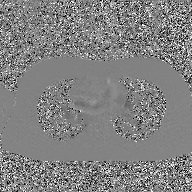
2D phase-contrast cine MRI of the ascending aorta, GAN super-resolution reconstruction.